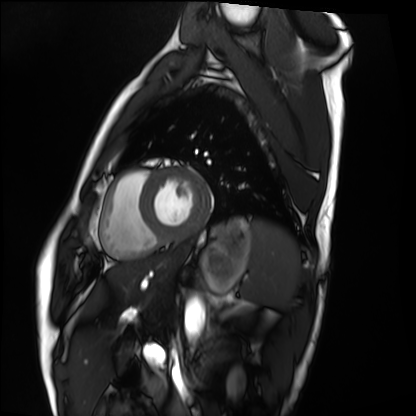
Q: What kind of scan is this?
A: Cardiac MRI.
Subject group: healthy volunteer.